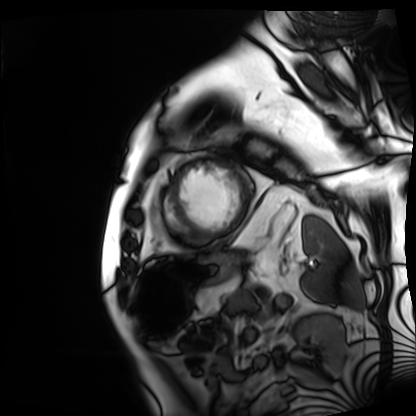
Summary: Cardiac MRI. Subject group: patient.